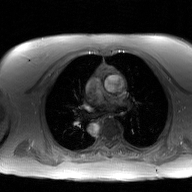
modality: 2D phase-contrast cine MRI of the ascending aorta, GAN super-resolution reconstruction.